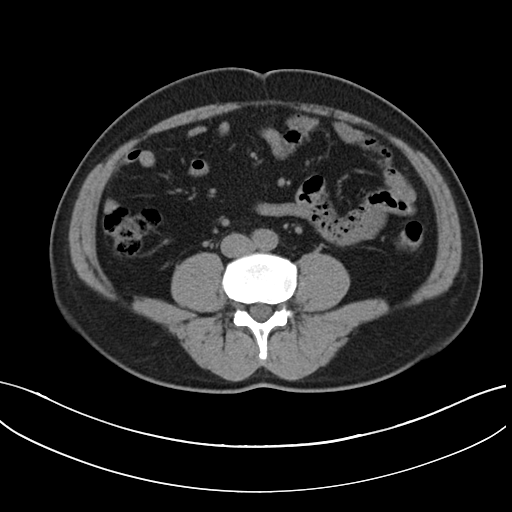
| field | value |
|---|---|
| modality | multiphase abdominal CT, liver, non-contrast phase |
| patient | male, age 46 |